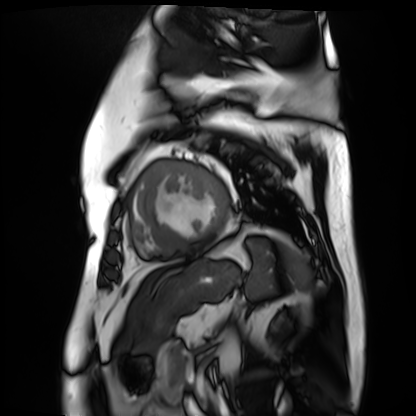
Case summary:
Cardiac MR image of the myocardium. Subject cohort: cardiac patient.